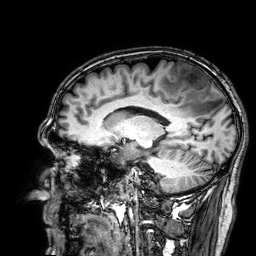
modality: 3 Tesla brain MRI
series: 3D T1-weighted
study: ring-enhancing brain masses